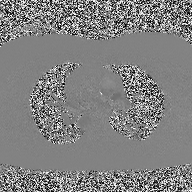
modality=2D phase-contrast cine MRI of the ascending aorta